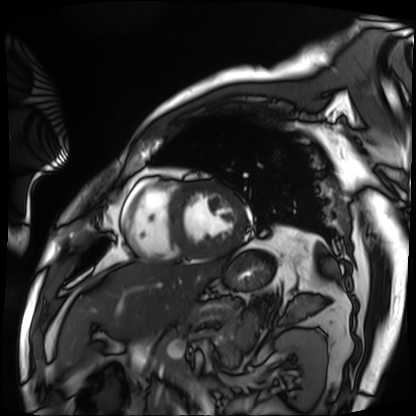
Case summary:
Cardiac MRI. Subject group: patient.